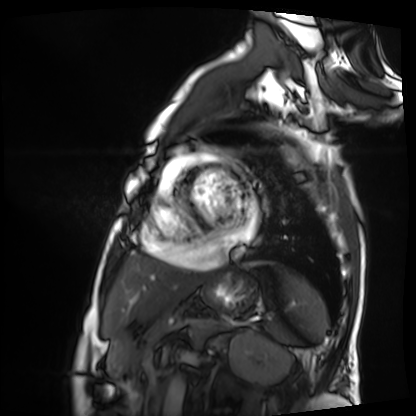
Cardiac MRI.
Subject group: patient.